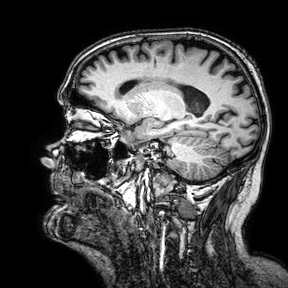
3 Tesla brain MRI. Series: 3D T1-weighted turbo field echo with SENSE. Study: ring-enhancing brain masses.